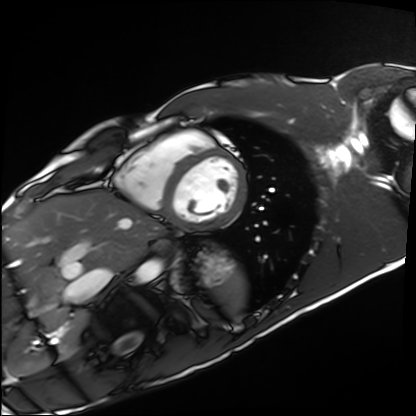
modality = cardiac MRI | subject group = healthy volunteer.